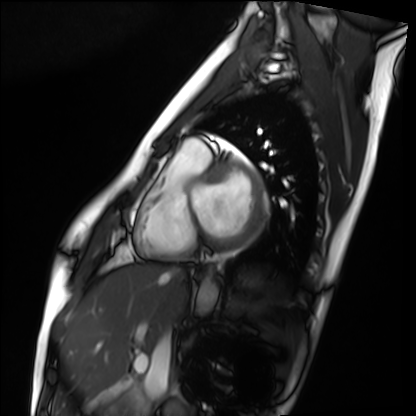
Case:
• modality: cardiac MRI
• subject group: healthy volunteer